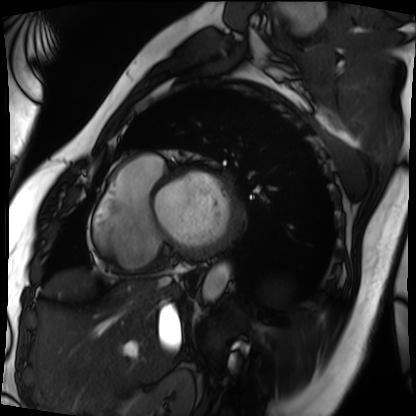
Summary:
Cardiac MRI. Subject group: patient.